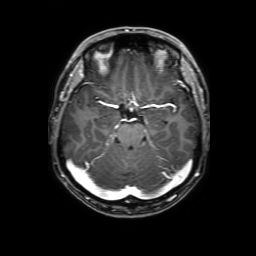
Summary: 3 Tesla brain MRI. Series: 3D T1-weighted with SENSE. Study: ring-enhancing brain masses.